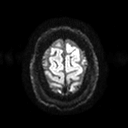
Q: What kind of scan is this?
A: 3 Tesla brain MRI.
Q: Series?
A: Diffusion tensor imaging (medium iso).
Study: ring-enhancing brain masses.